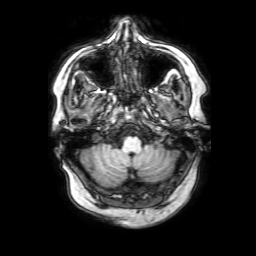
Summary: 3 Tesla brain MRI. Series: 3D T1-weighted with SENSE. Study: ring-enhancing brain masses.